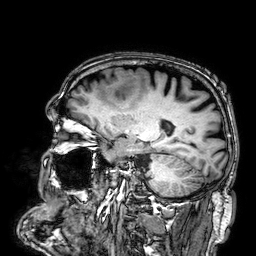
modality: 3 Tesla brain MRI | series: 3D T1-weighted | study: ring-enhancing brain masses.